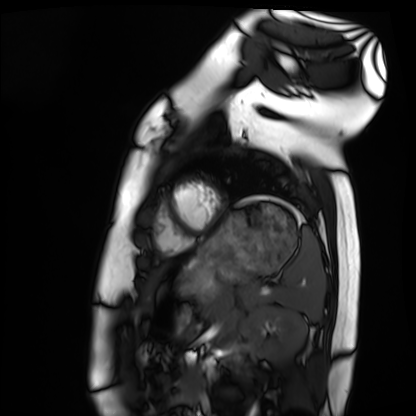
• modality — cardiac MRI
• subject group — healthy volunteer